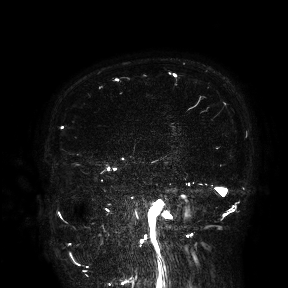
Q: What kind of scan is this?
A: 3 Tesla brain MRI.
Study: ring-enhancing brain masses.